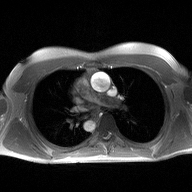
2D phase-contrast cine MRI of the ascending aorta, high-resolution GRAPPA acquisition.